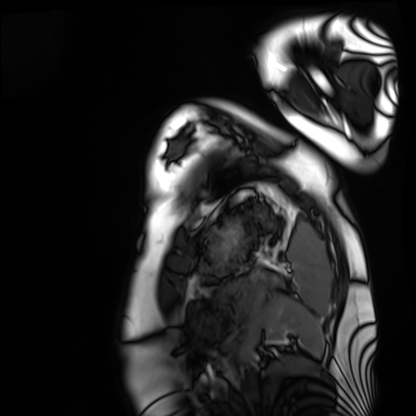
Cardiac MRI. Subject group: healthy volunteer.